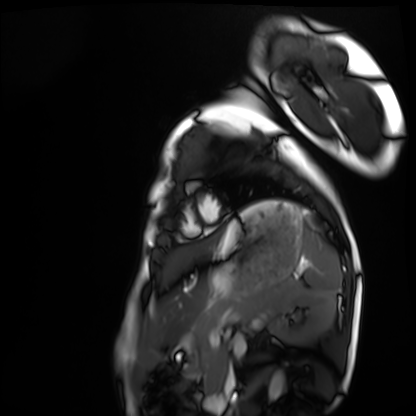
Summary: Cardiac MRI. Subject group: healthy volunteer.